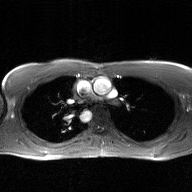
2D phase-contrast cine MRI of the ascending aorta, GAN super-resolution reconstruction.